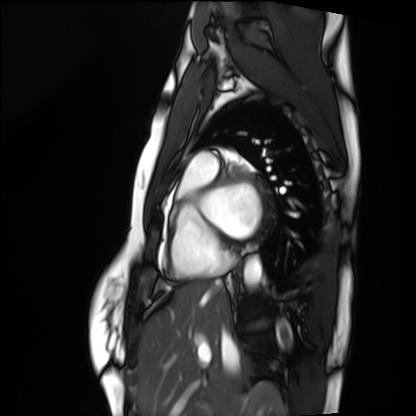
* modality — cardiac MRI
* subject group — healthy volunteer